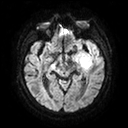
| field | value |
|---|---|
| modality | 3 Tesla brain MRI |
| series | diffusion tensor imaging (medium iso) |
| study | ring-enhancing brain masses |